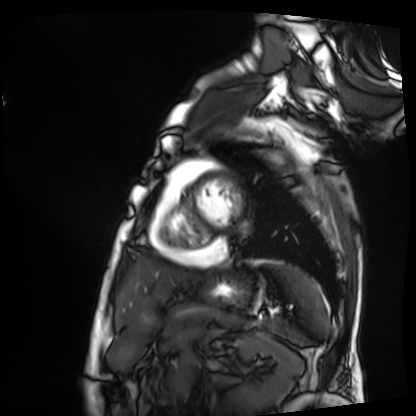
Cardiac MRI. Subject group: patient.